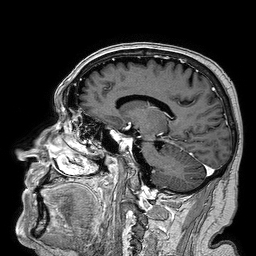
{"modality": {"type": "brain MRI", "field_strength": "3T"}, "series": "3D T1-weighted turbo field echo", "study_topic": "ring-enhancing brain masses"}